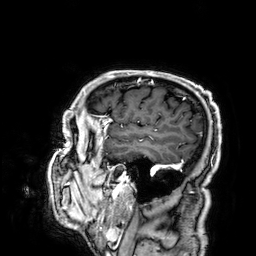
Summary: 3 Tesla brain MRI. Series: 3D T1-weighted. Study: ring-enhancing brain masses.